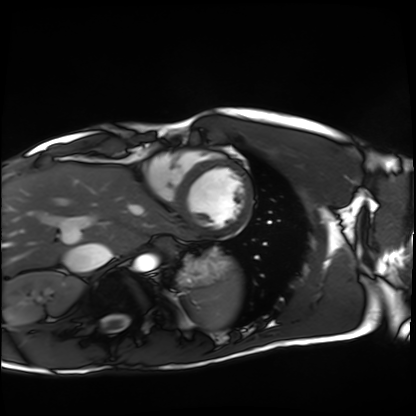
Cardiac MRI. Subject group: healthy volunteer.